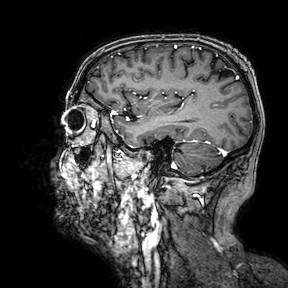
Q: What kind of scan is this?
A: 3 Tesla brain MRI.
Study: ring-enhancing brain masses.